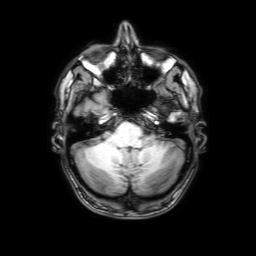
modality: 3 Tesla brain MRI; series: 3D T1-weighted with SENSE; study: ring-enhancing brain masses.